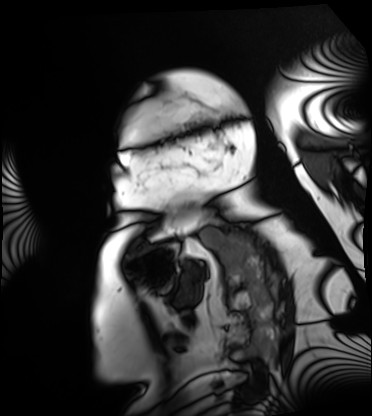
Case summary:
Cardiac MRI. Subject group: patient.